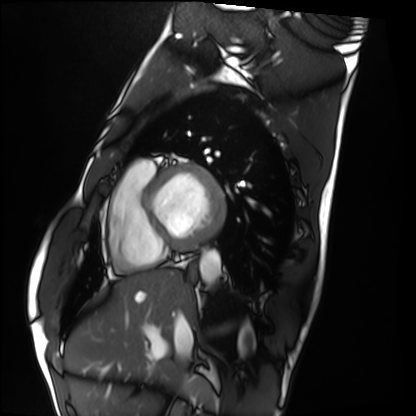
Case summary: Cardiac MRI. Subject group: healthy volunteer.